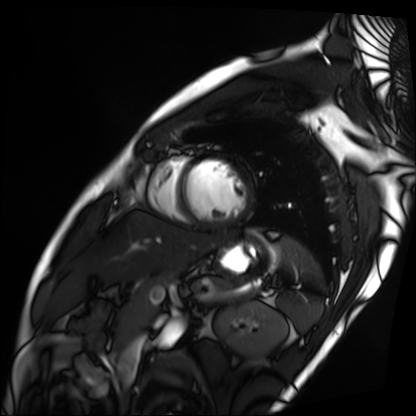
Cardiac MRI. Subject group: patient.